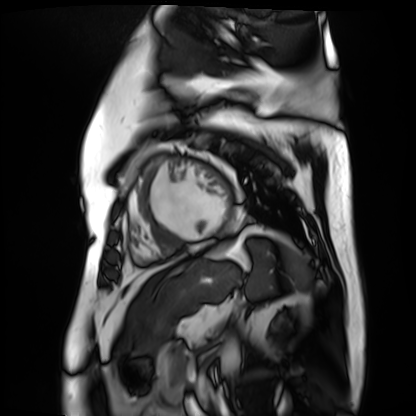
Cardiac MR image of the myocardium.
Subject cohort: cardiac patient.